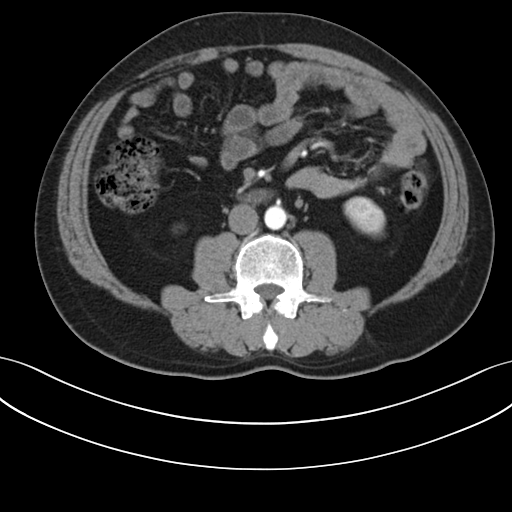
modality: multiphase abdominal CT, liver, arterial phase
patient: male, age 48